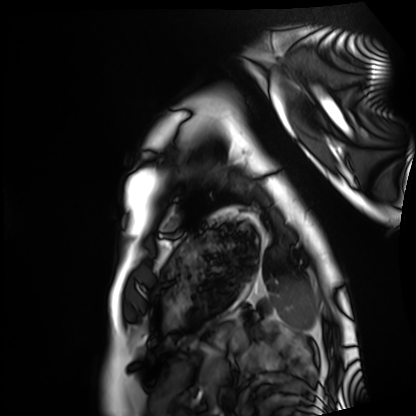
modality — cardiac MRI
subject group — healthy volunteer